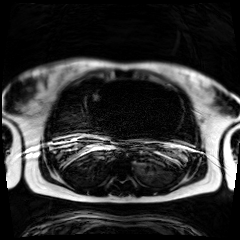
Chemical-shift-encoded cardiac MRI.